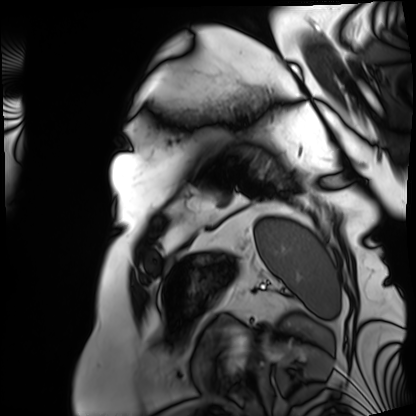
<scan>
  <modality>cardiac MRI</modality>
  <cohort>patient</cohort>
</scan>